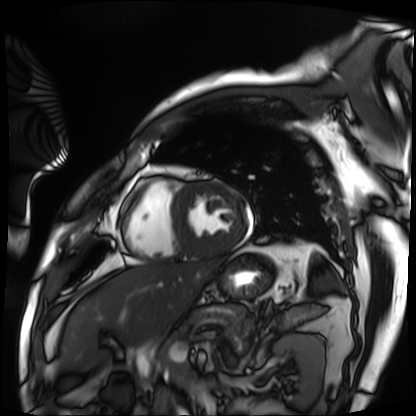
| field | value |
|---|---|
| modality | cardiac MRI |
| subject group | patient |